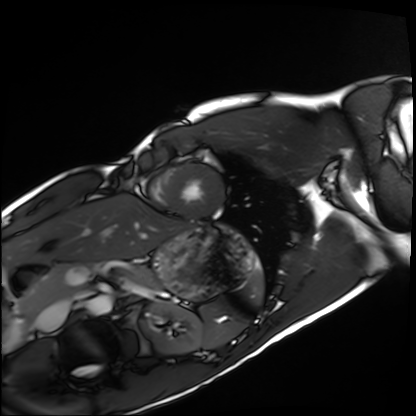
Cardiac MRI.
Subject group: healthy volunteer.